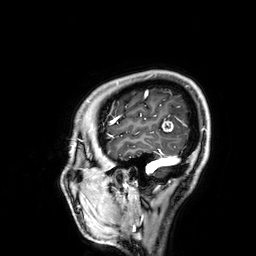
Q: What kind of scan is this?
A: 3 Tesla brain MRI.
Q: Series?
A: 3D T1-weighted.
Study: ring-enhancing brain masses.